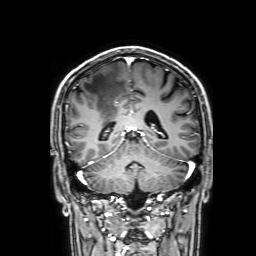
modality — 3 Tesla brain MRI; series — 3D T1-weighted with SENSE; study — ring-enhancing brain masses.